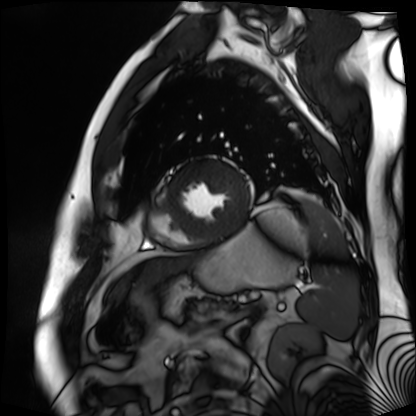
{
  "modality": "cardiac MR image of the myocardium",
  "cohort": "cardiac patient"
}